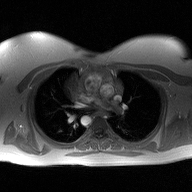
Case:
- modality — 2D phase-contrast cine MRI of the ascending aorta